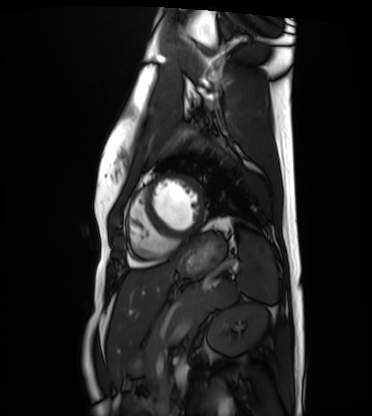
<study>
<modality>cardiac MRI</modality>
<cohort>healthy volunteer</cohort>
</study>